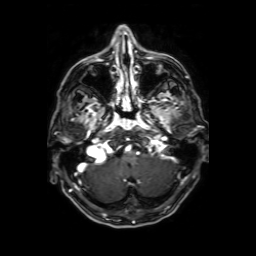
3 Tesla brain MRI.
Series: axial T1-weighted fusion image.
Study: ring-enhancing brain masses.